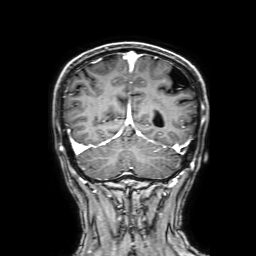
• modality · 3 Tesla brain MRI
• series · 3D T1-weighted with SENSE
• study · ring-enhancing brain masses